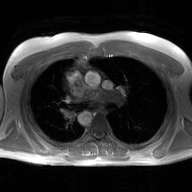
2D phase-contrast cine MRI of the ascending aorta, GAN super-resolution reconstruction.